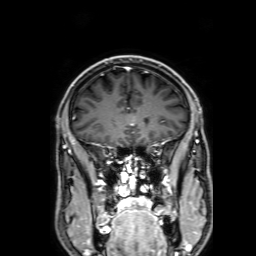
Q: What kind of scan is this?
A: 3 Tesla brain MRI.
Q: Series?
A: 3D T1-weighted with SENSE.
Study: ring-enhancing brain masses.